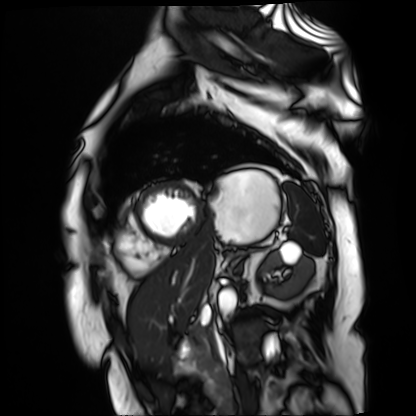
Case summary:
Cardiac MR image of the myocardium. Subject cohort: cardiac patient.